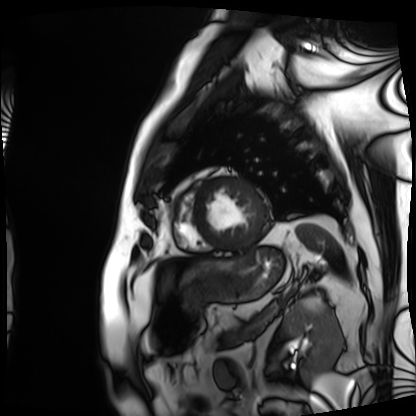
Cardiac MRI.
Subject group: patient.